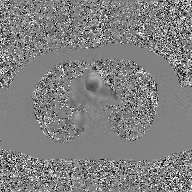
modality = 2D phase-contrast cine MRI of the ascending aorta, GAN super-resolution reconstruction.